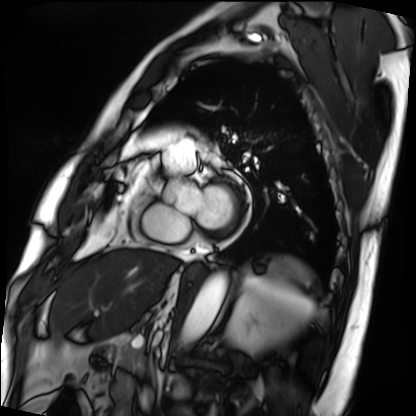
Case:
* modality: cardiac MRI
* subject group: patient